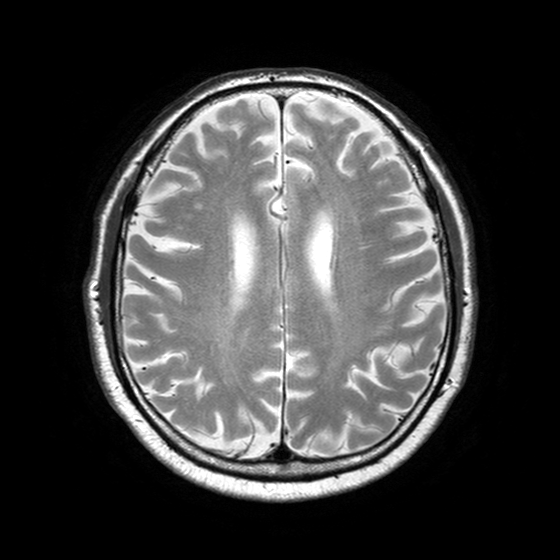
Q: What kind of scan is this?
A: 3 Tesla brain MRI.
Q: Series?
A: T2-weighted turbo spin echo with SENSE.
Study: ring-enhancing brain masses.